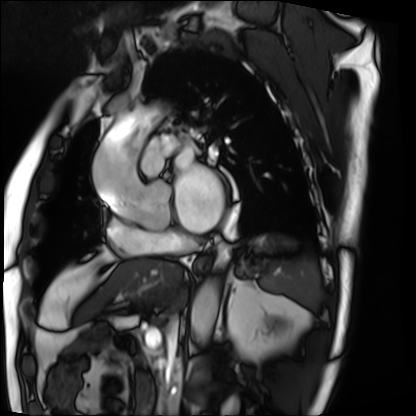
modality: cardiac MRI
cohort: patient